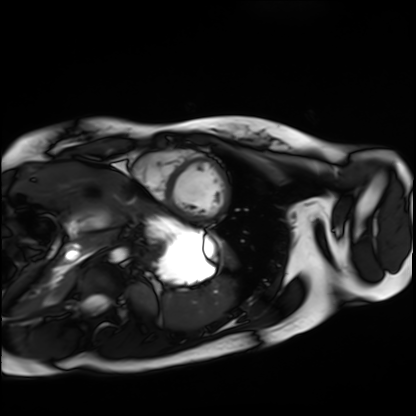
Cardiac MRI. Subject group: healthy volunteer.